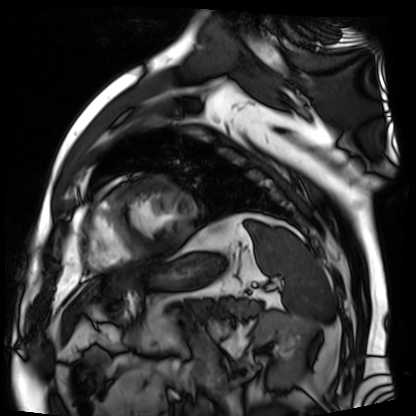
modality = cardiac MR image of the myocardium | subject cohort = cardiac patient.